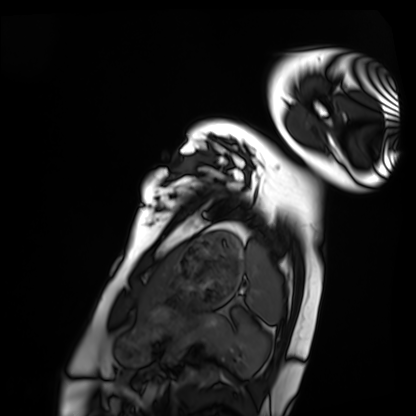
Clinical context:
Cardiac MRI. Subject group: healthy volunteer.